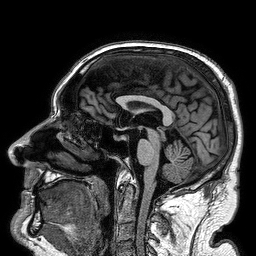
- modality · 3 Tesla brain MRI
- series · 3D T1-weighted turbo field echo
- study · ring-enhancing brain masses